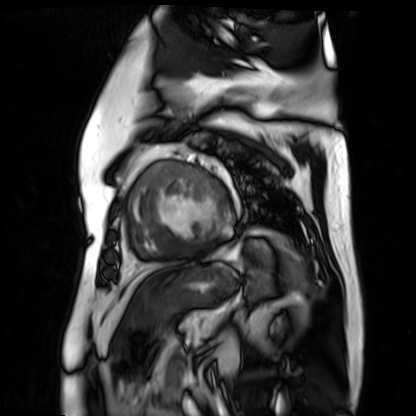
Cardiac MR image of the myocardium. Subject cohort: cardiac patient.